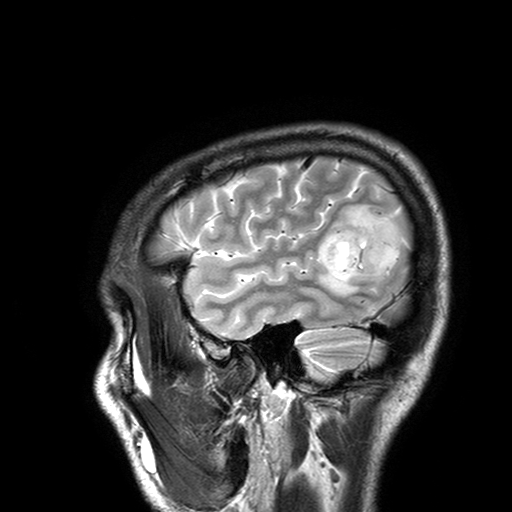
Q: What kind of scan is this?
A: 3 Tesla brain MRI.
Q: Series?
A: T2-weighted turbo spin echo with SENSE.
Study: ring-enhancing brain masses.